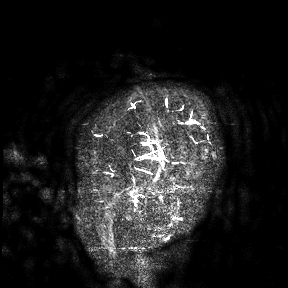
Summary: 3 Tesla brain MRI. Study: ring-enhancing brain masses.